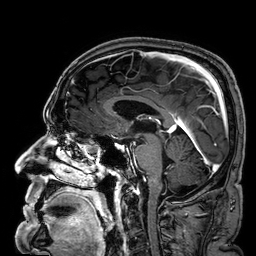
modality:
  type: brain MRI
  field_strength: 3T
series: 3D T1-weighted
study_topic: ring-enhancing brain masses